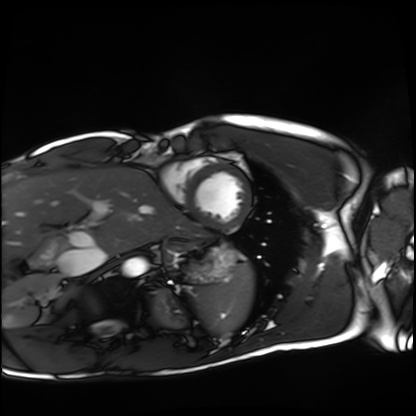
* modality · cardiac MRI
* subject group · healthy volunteer